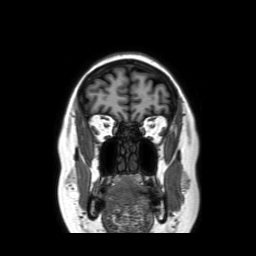
Q: What kind of scan is this?
A: 3 Tesla brain MRI.
Q: Series?
A: Coronal without contrast.
Study: ring-enhancing brain masses.